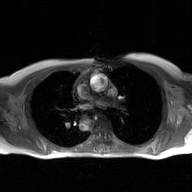
| field | value |
|---|---|
| modality | 2D phase-contrast cine MRI of the ascending aorta, GAN super-resolution reconstruction |